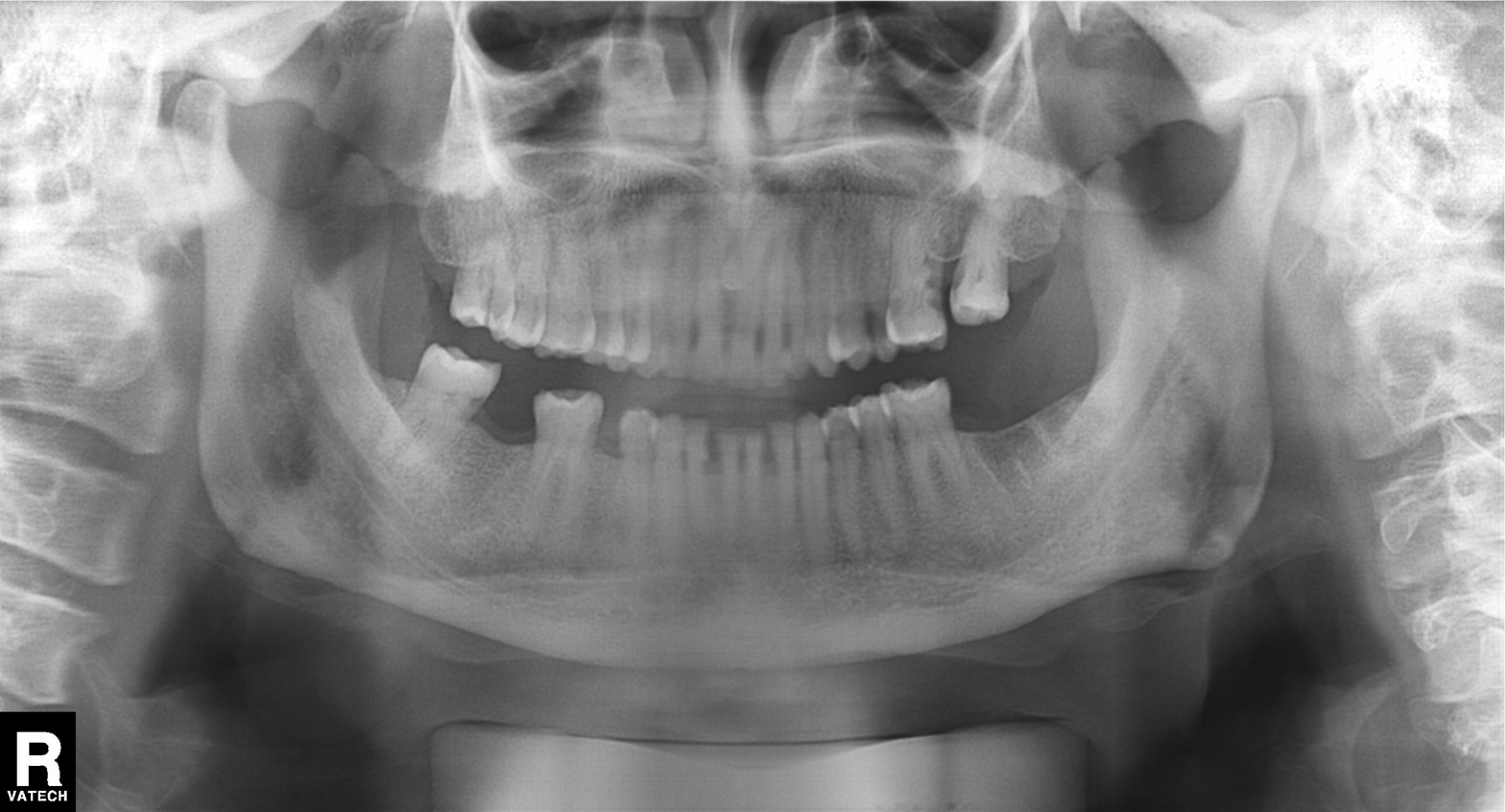
Panoramic dental radiograph (orthopantomogram).
Finding: alveolar bone loss.